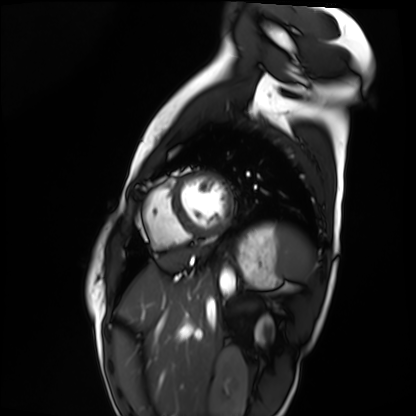
modality: cardiac MRI; subject group: healthy volunteer.